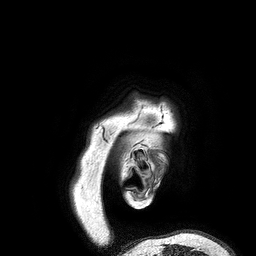
3 Tesla brain MRI.
Series: 3D T1-weighted turbo field echo.
Study: ring-enhancing brain masses.